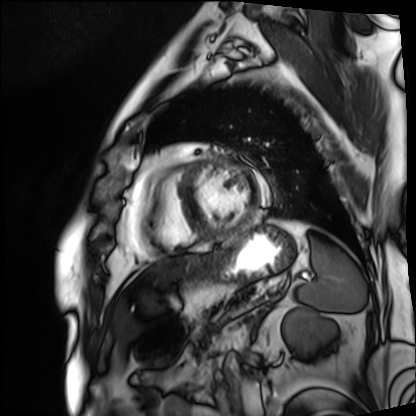
{
  "modality": "cardiac MRI",
  "cohort": "patient"
}